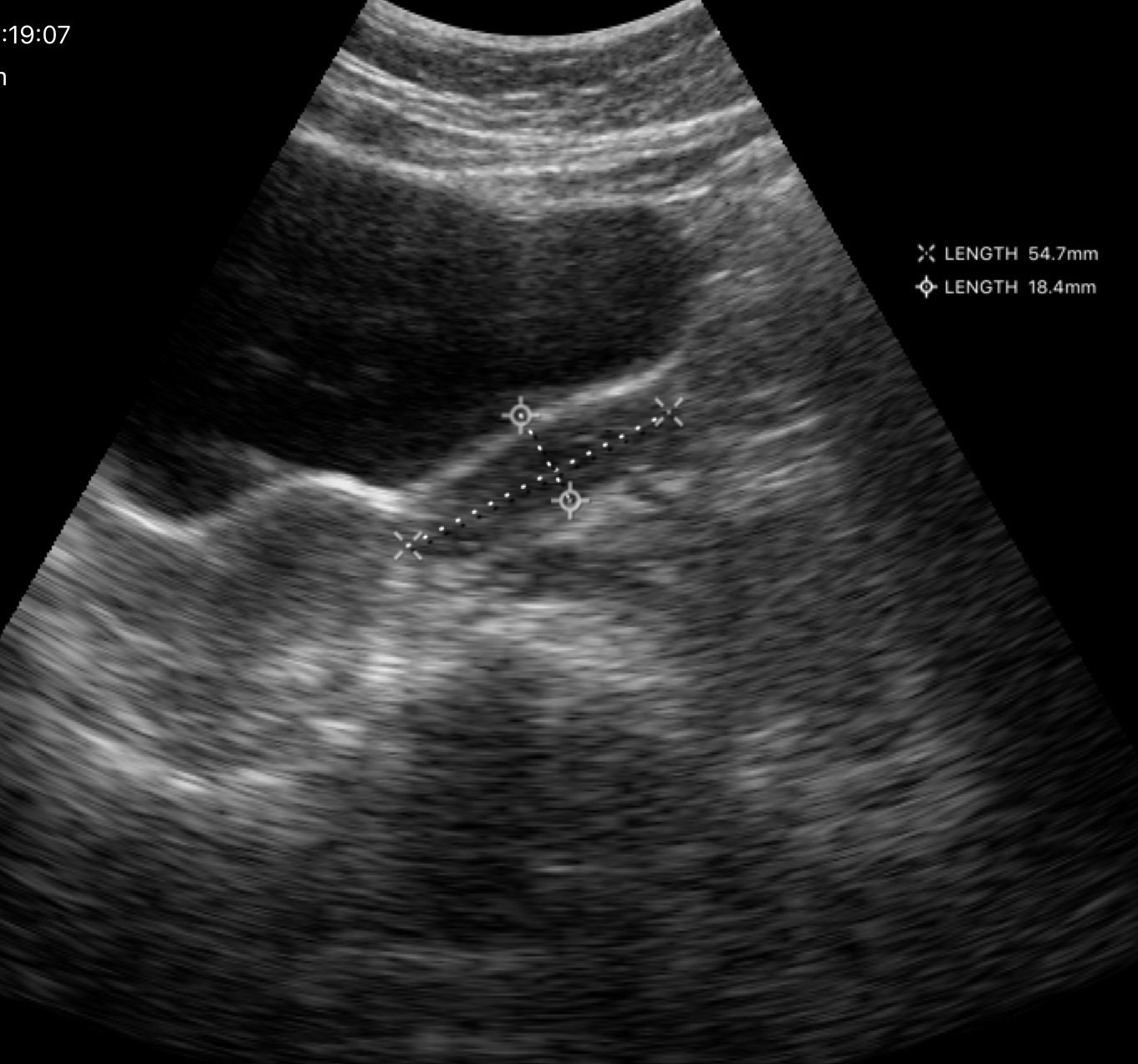
Genitourinary ultrasound.